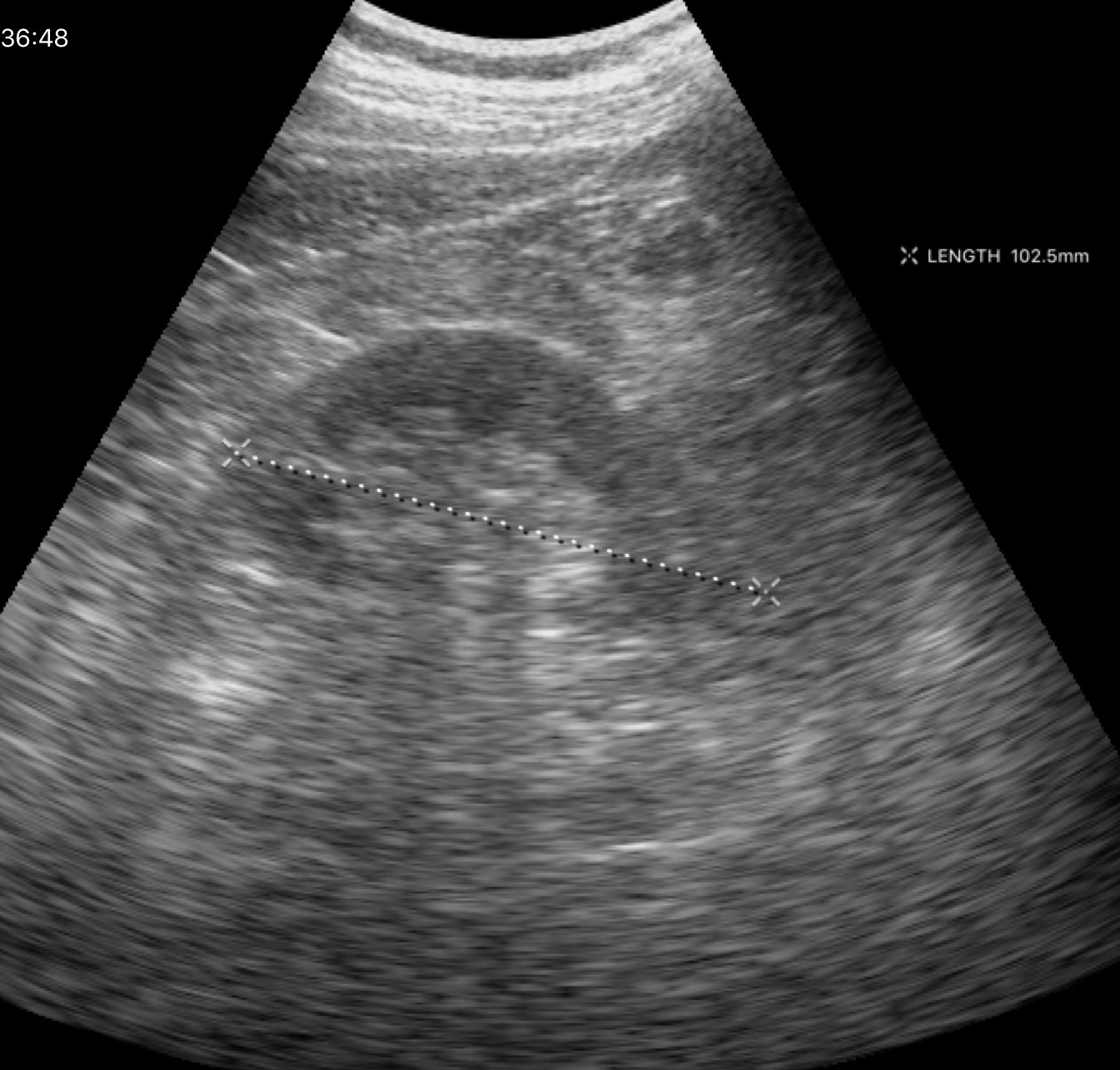
Case:
- modality · genitourinary ultrasound